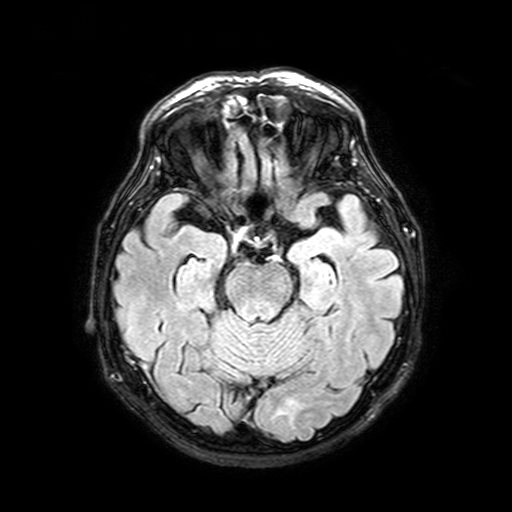
modality = 3 Tesla brain MRI; study = ring-enhancing brain masses.